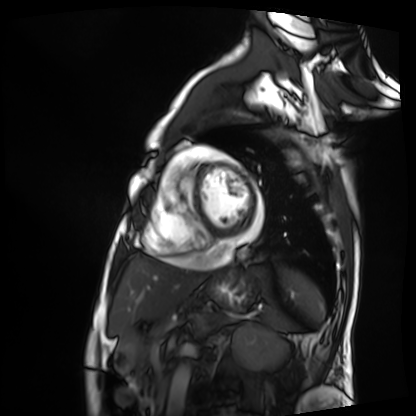
Cardiac MRI.
Subject group: patient.